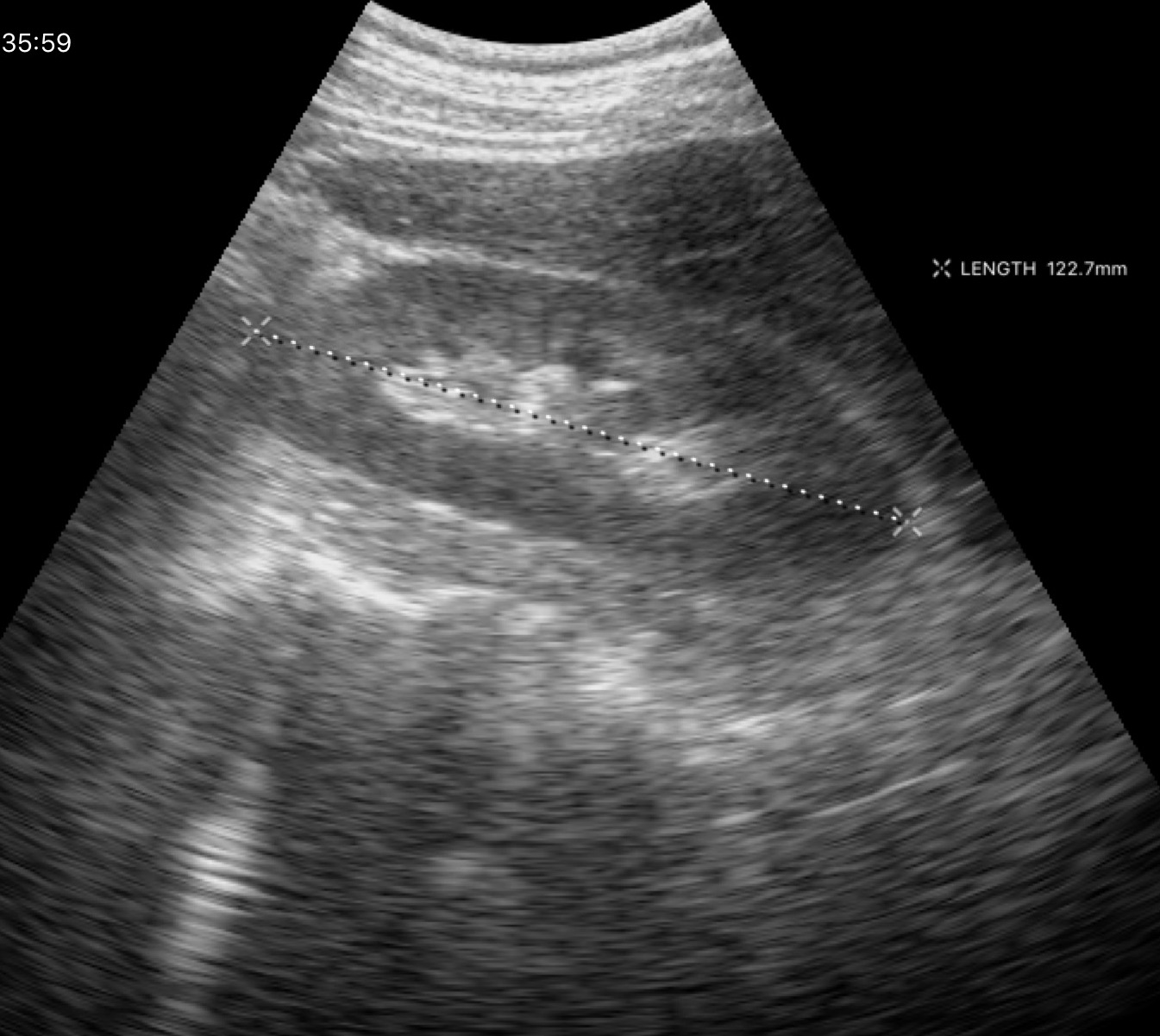
Genitourinary ultrasound.